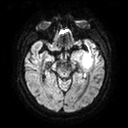
Q: What kind of scan is this?
A: 3 Tesla brain MRI.
Q: Series?
A: Diffusion tensor imaging (medium iso).
Study: ring-enhancing brain masses.